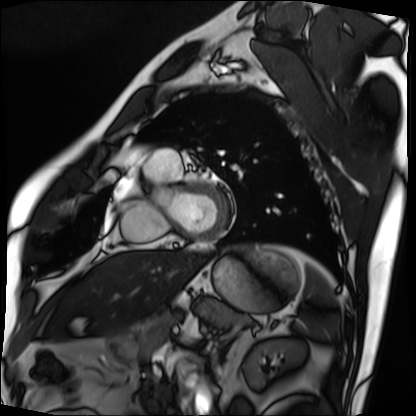
| field | value |
|---|---|
| modality | cardiac MRI |
| subject group | patient |